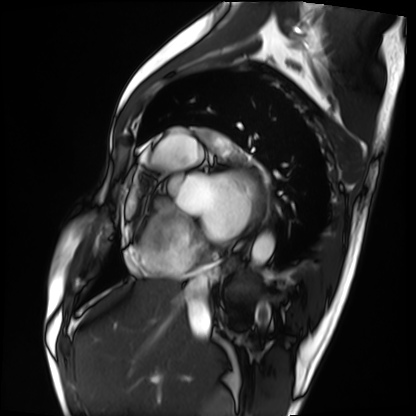
Summary: Cardiac MRI. Subject group: patient.